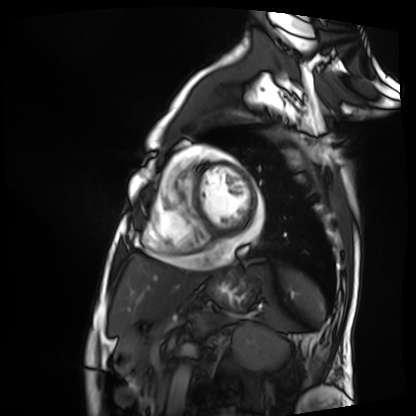
modality: cardiac MRI
cohort: patient